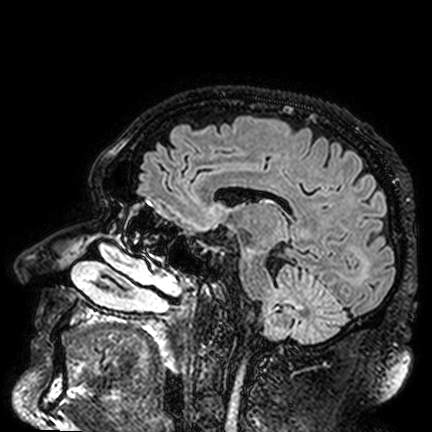
Summary: 3 Tesla brain MRI. Series: FLAIR VISTA. Study: ring-enhancing brain masses.